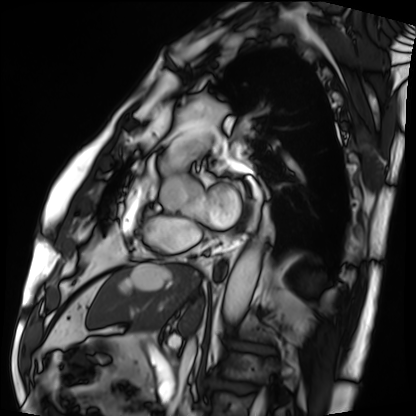
Cardiac MRI. Subject group: patient.